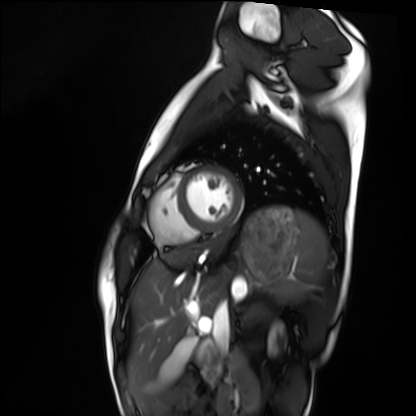
Summary:
Cardiac MRI. Subject group: healthy volunteer.